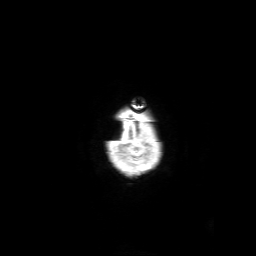
Summary: 3 Tesla brain MRI. Series: 3D T1-weighted with SENSE. Study: ring-enhancing brain masses.